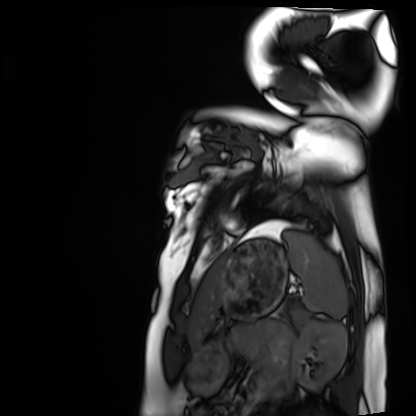
Cardiac MRI. Subject group: healthy volunteer.